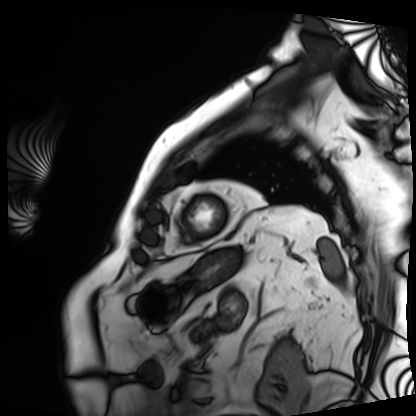
Cardiac MRI.
Subject group: patient.